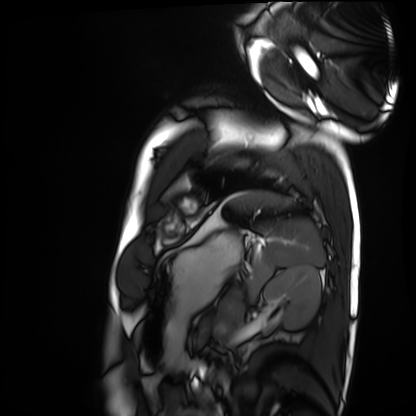
  modality: cardiac MRI
  cohort: healthy volunteer